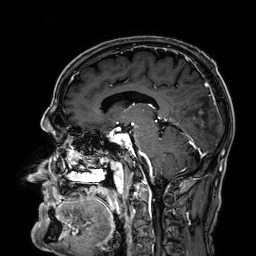
* modality: 3 Tesla brain MRI
* series: 3D T1-weighted
* study: ring-enhancing brain masses